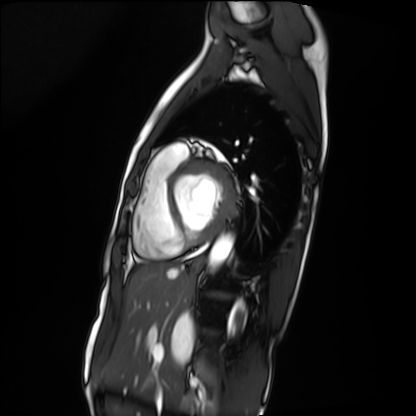
Cardiac MRI. Subject group: patient.